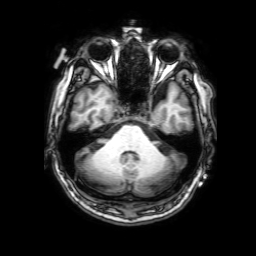
3 Tesla brain MRI. Series: 3D T1-weighted with SENSE. Study: ring-enhancing brain masses.